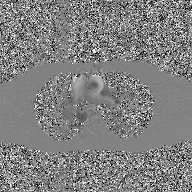
modality: 2D phase-contrast cine MRI of the ascending aorta, GAN super-resolution reconstruction.